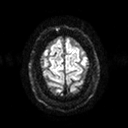
modality:
  type: brain MRI
  field_strength: 3T
series: diffusion tensor imaging (medium iso)
study_topic: ring-enhancing brain masses